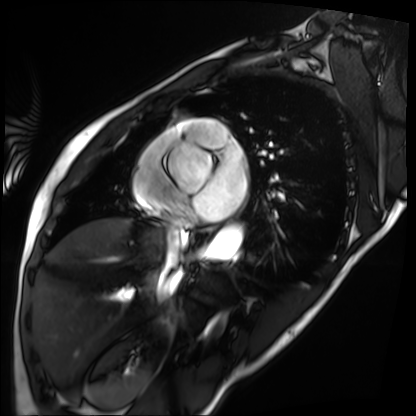
Cardiac MRI.
Subject group: patient.